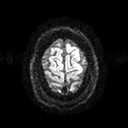
modality:
  type: brain MRI
  field_strength: 3T
series: diffusion tensor imaging (medium iso)
study_topic: ring-enhancing brain masses